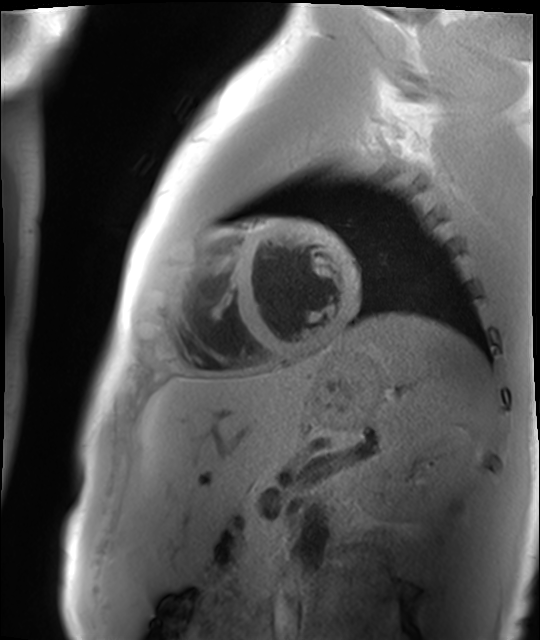
Summary: Cardiac MR image of the myocardium. Subject cohort: healthy volunteer.